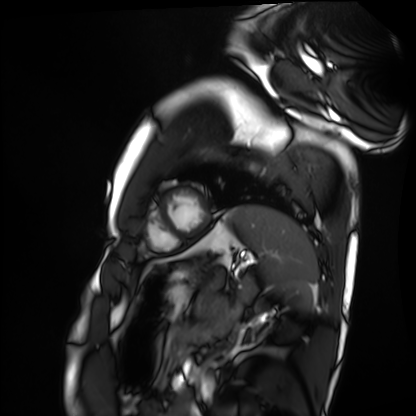
- modality — cardiac MRI
- subject group — healthy volunteer